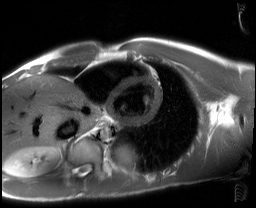
• modality: cardiac MRI
• subject group: healthy volunteer